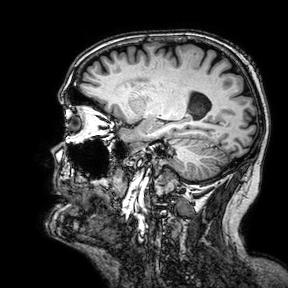
3 Tesla brain MRI. Series: 3D T1-weighted turbo field echo with SENSE. Study: ring-enhancing brain masses.